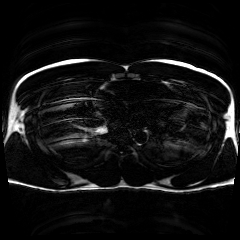
modality = chemical-shift-encoded cardiac MRI.